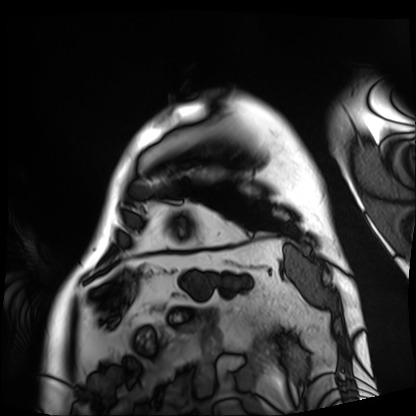
Q: What kind of scan is this?
A: Cardiac MRI.
Subject group: patient.